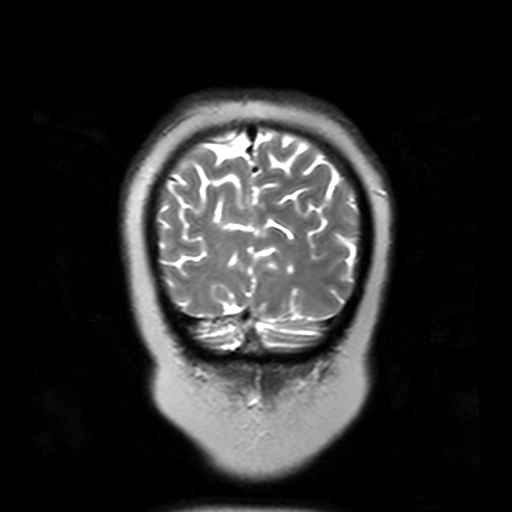
modality — 3 Tesla brain MRI
series — T2-weighted turbo spin echo with SENSE
study — ring-enhancing brain masses